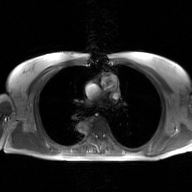
modality: 2D phase-contrast cine MRI of the ascending aorta, GAN super-resolution reconstruction.